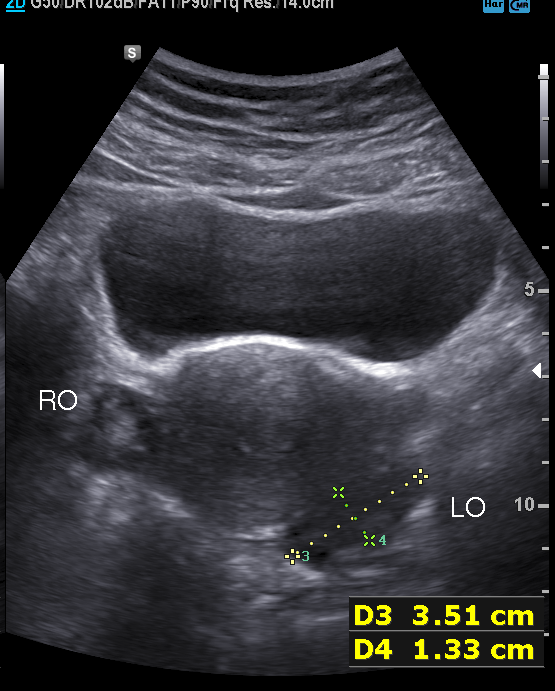
<record>
<modality>
  <type>genitourinary ultrasound</type>
</modality>
</record>